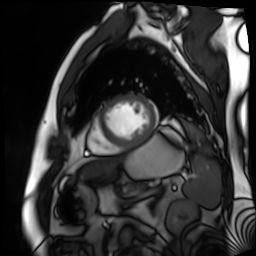
Summary: Cardiac MR image of the myocardium. Subject cohort: cardiac patient.